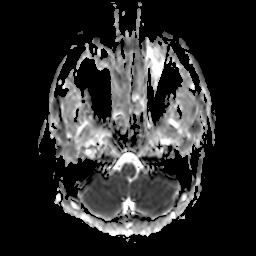
3 Tesla brain MRI.
Series: apparent diffusion coefficient (ADC) map.
Study: ring-enhancing brain masses.